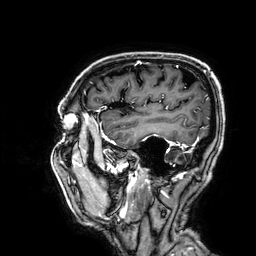
Summary:
3 Tesla brain MRI. Study: ring-enhancing brain masses.